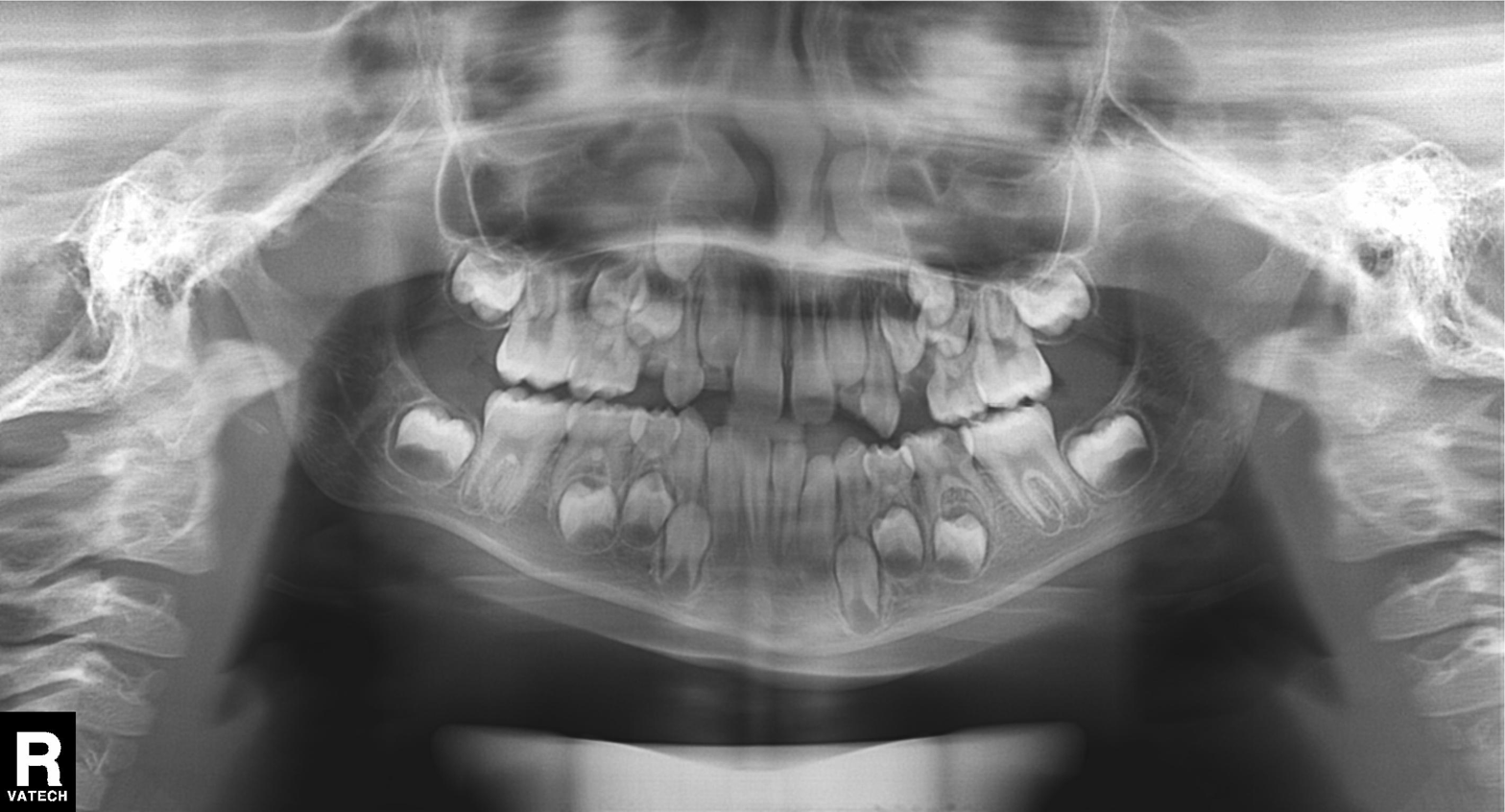
Summary:
Panoramic dental radiograph (orthopantomogram).
Conclusion:
Alveolar bone loss.